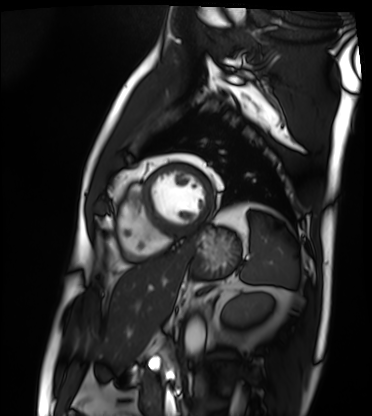
Cardiac MRI.
Subject group: patient.